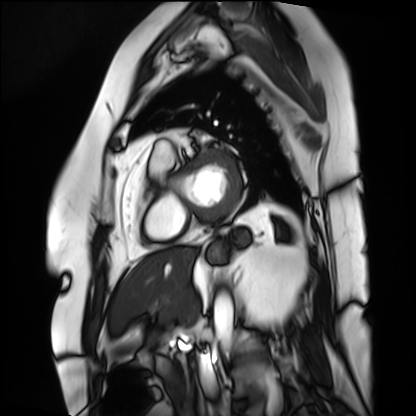
{"modality": "cardiac MRI", "cohort": "patient"}